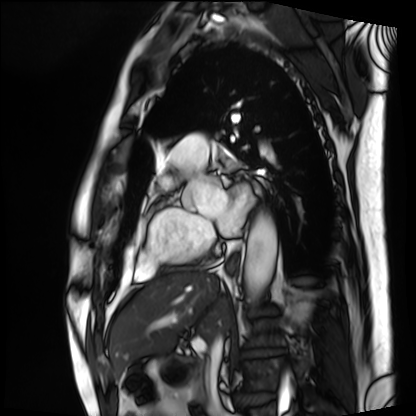
Case summary: Cardiac MRI. Subject group: patient.